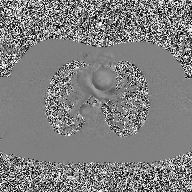
  modality:
    type: 2D phase-contrast cine MRI
    region: ascending aorta
    reconstruction: high-resolution GRAPPA acquisition